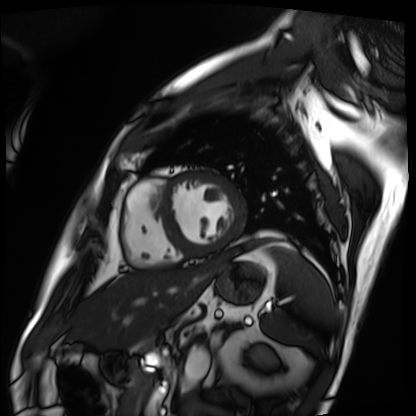
modality — cardiac MRI | subject group — patient.